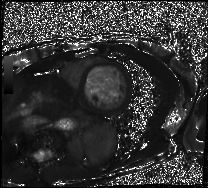
modality = cardiac MRI | subject group = patient.